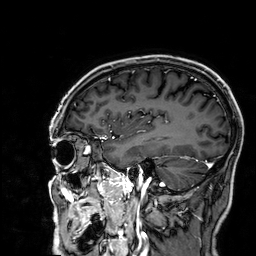
* modality — 3 Tesla brain MRI
* series — 3D T1-weighted
* study — ring-enhancing brain masses